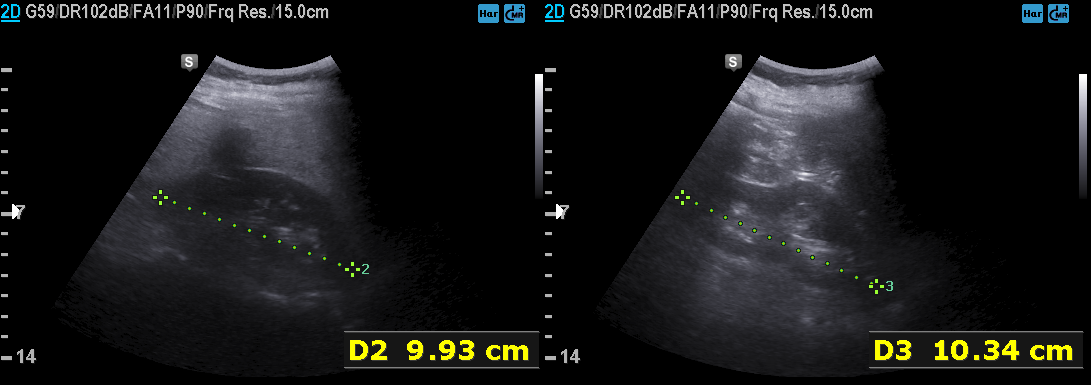
Genitourinary ultrasound.